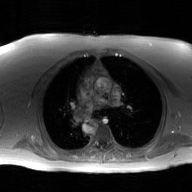
Q: What kind of scan is this?
A: 2D phase-contrast cine MRI of the ascending aorta, GAN super-resolution reconstruction.